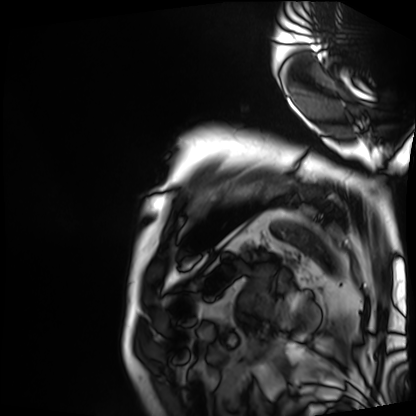
<record>
<modality>cardiac MRI</modality>
<cohort>patient</cohort>
</record>